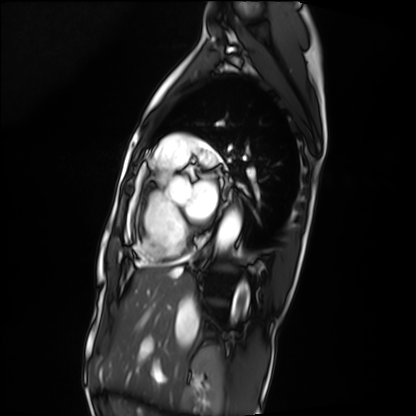
Summary: Cardiac MRI. Subject group: patient.